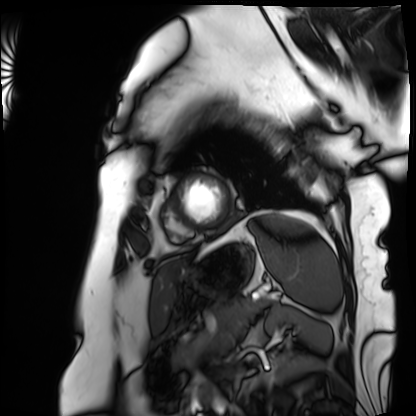
modality — cardiac MRI
subject group — patient